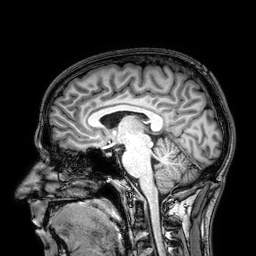
modality — 3 Tesla brain MRI | series — 3D T1-weighted | study — ring-enhancing brain masses.